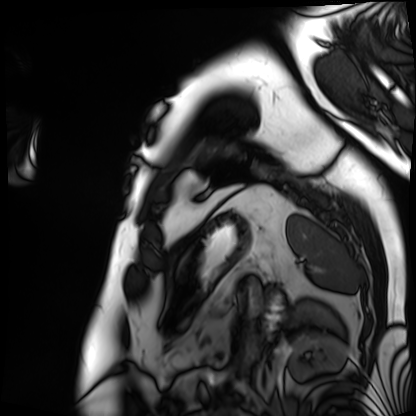
modality: cardiac MRI
subject group: patient